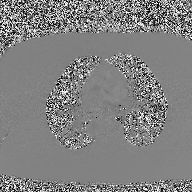
2D phase-contrast cine MRI of the ascending aorta, high-resolution GRAPPA acquisition.